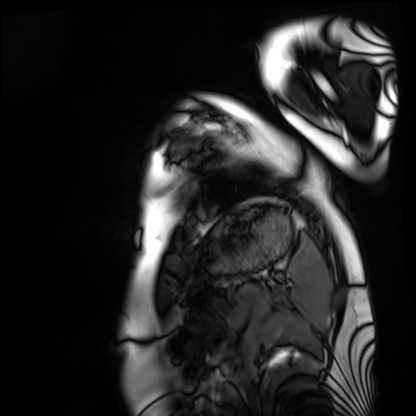
Cardiac MRI. Subject group: healthy volunteer.